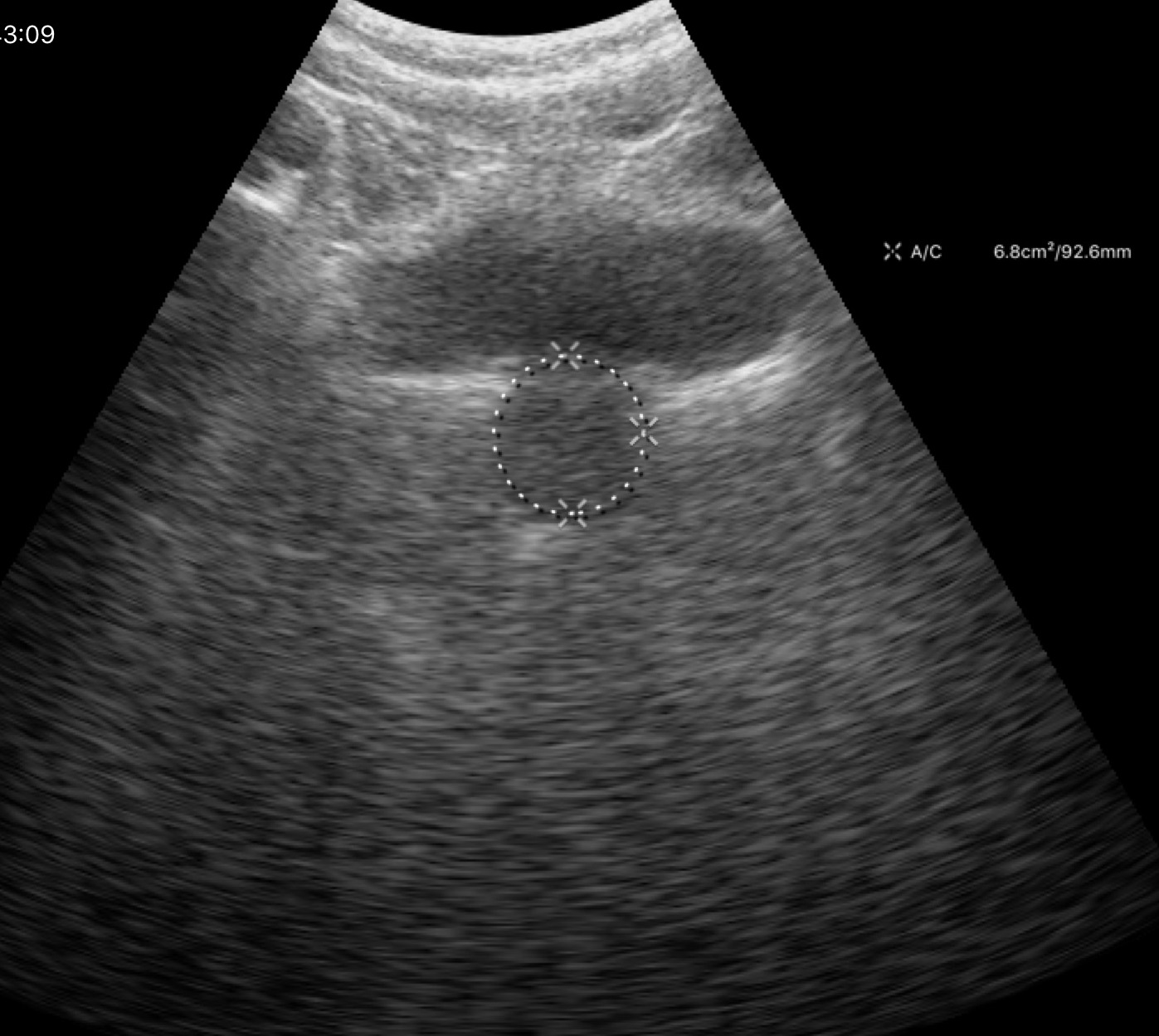
{
  "modality": {
    "type": "genitourinary ultrasound"
  }
}